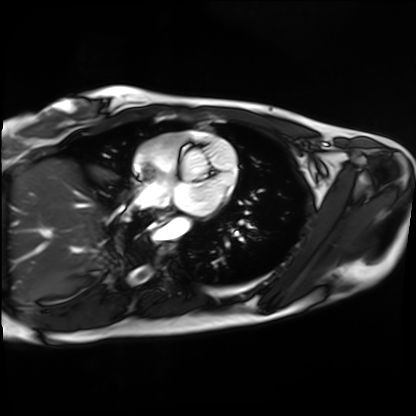
<case>
  <modality>cardiac MRI</modality>
  <cohort>healthy volunteer</cohort>
</case>